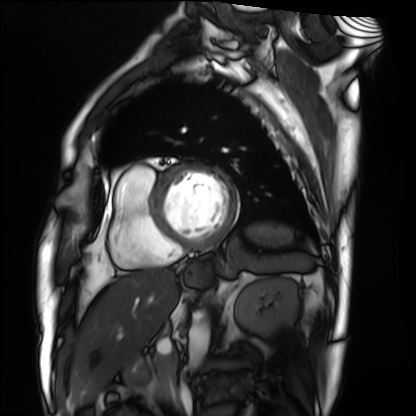
Q: What kind of scan is this?
A: Cardiac MRI.
Subject group: patient.